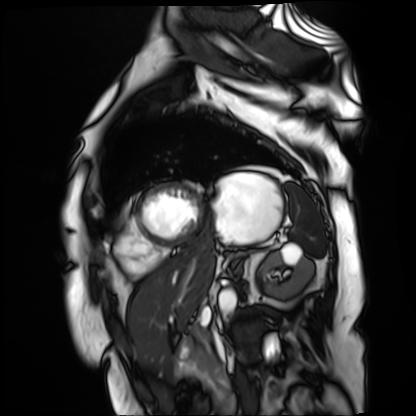
Clinical context: Cardiac MR image of the myocardium. Subject cohort: cardiac patient.